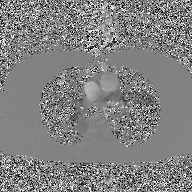
Case:
– modality: 2D phase-contrast cine MRI of the ascending aorta, GAN super-resolution reconstruction